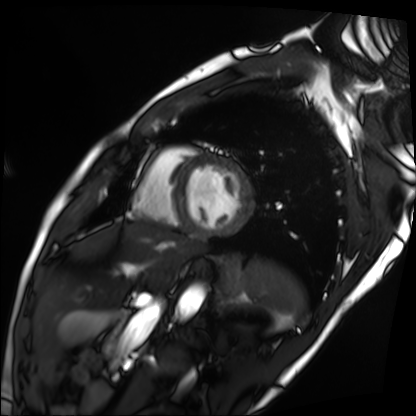
{
  "modality": "cardiac MRI",
  "cohort": "patient"
}